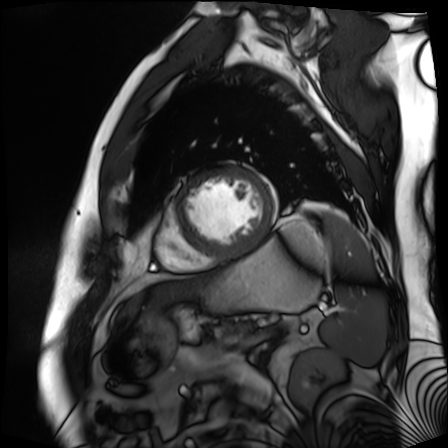
Case summary:
Cardiac MR image of the myocardium. Subject cohort: cardiac patient.